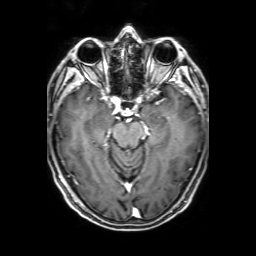
modality: 3 Tesla brain MRI; series: 3D T1-weighted with SENSE; study: ring-enhancing brain masses.